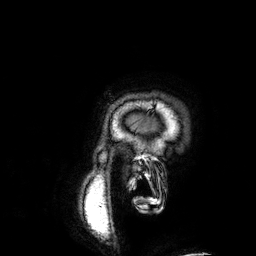
Case summary: 3 Tesla brain MRI. Series: 3D T1-weighted. Study: ring-enhancing brain masses.